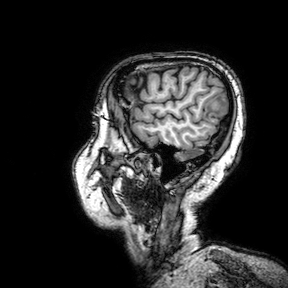
Summary:
3 Tesla brain MRI. Series: 3D T1-weighted turbo field echo with SENSE. Study: ring-enhancing brain masses.